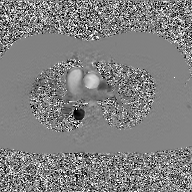
2D phase-contrast cine MRI of the ascending aorta, GAN super-resolution reconstruction.